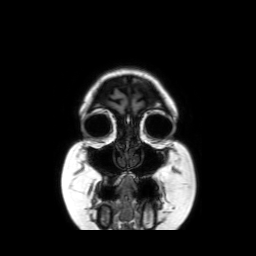
3 Tesla brain MRI. Series: coronal without contrast. Study: ring-enhancing brain masses.